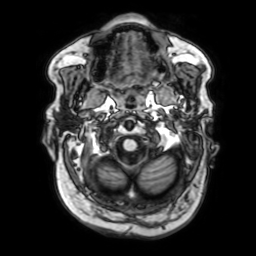
modality = 3 Tesla brain MRI
series = 3D T1-weighted with SENSE
study = ring-enhancing brain masses